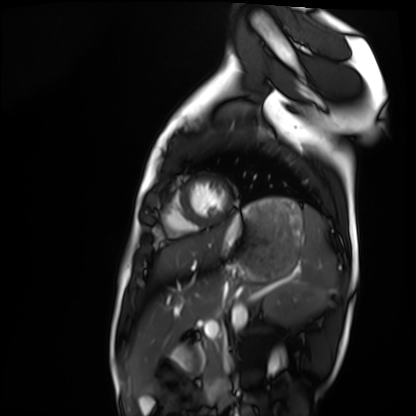
Cardiac MRI. Subject group: healthy volunteer.